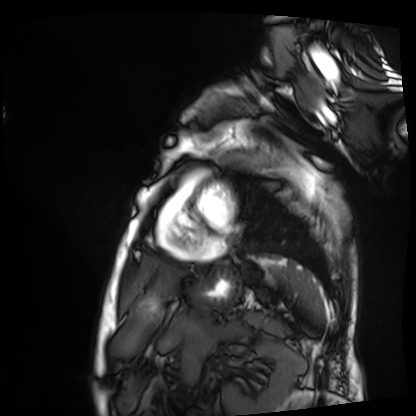
Case summary:
Cardiac MRI. Subject group: patient.